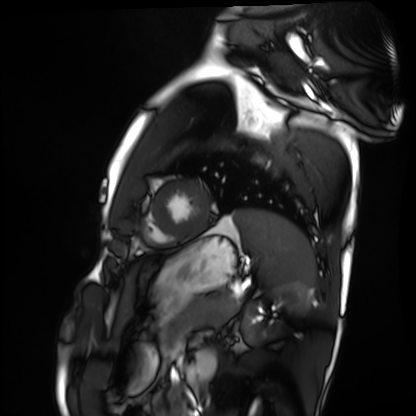
modality = cardiac MRI | subject group = healthy volunteer.